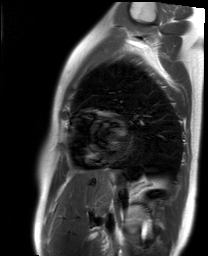
Cardiac MR image of the myocardium. Subject cohort: healthy volunteer.